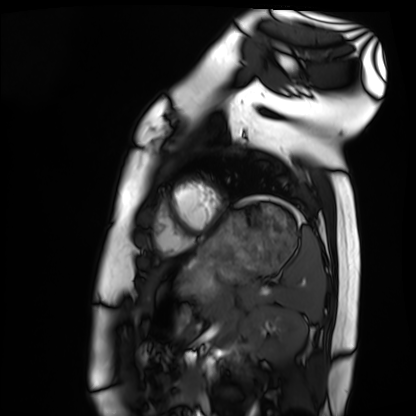
Case summary: Cardiac MRI. Subject group: healthy volunteer.